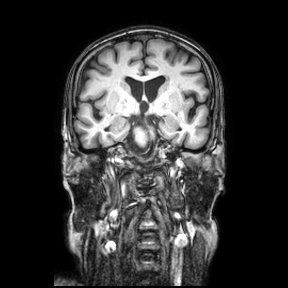
modality=3 Tesla brain MRI; series=coronal; study=ring-enhancing brain masses.